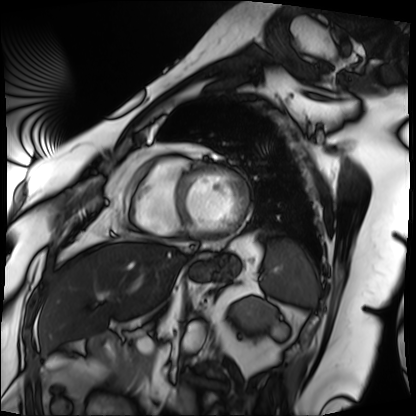
Q: What kind of scan is this?
A: Cardiac MRI.
Subject group: patient.